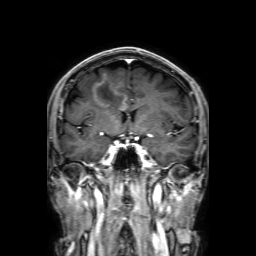
{
  "modality": {
    "type": "brain MRI",
    "field_strength": "3T"
  },
  "series": "3D T1-weighted with SENSE",
  "study_topic": "ring-enhancing brain masses"
}